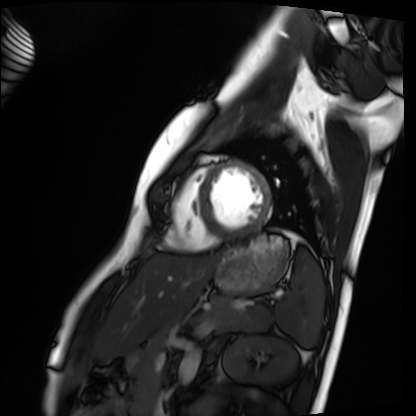
Cardiac MRI.
Subject group: healthy volunteer.